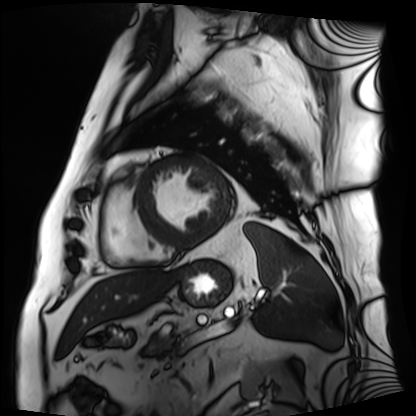
Case:
* modality · cardiac MRI
* subject group · patient